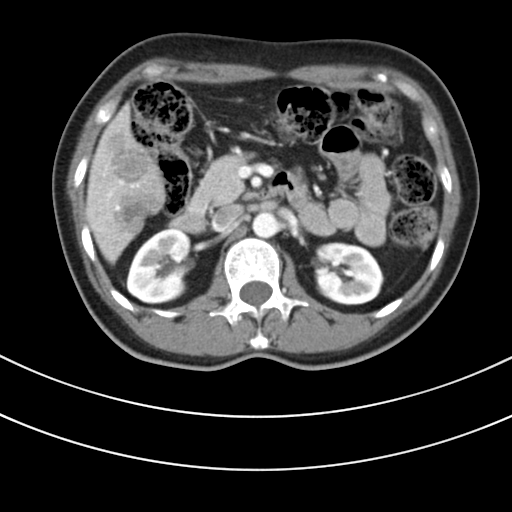
Q: What kind of scan is this?
A: Multiphase abdominal CT, liver, portal venous phase.
Q: Patient?
A: Female, age 48.
Q: History?
A: Prior chemotherapy.